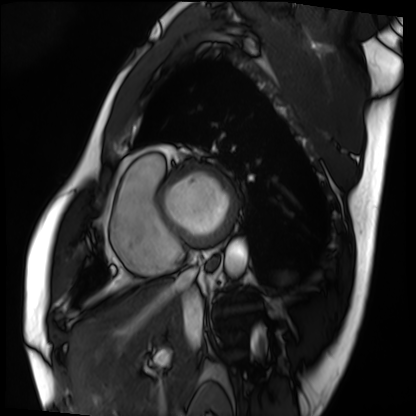
Cardiac MRI.
Subject group: patient.